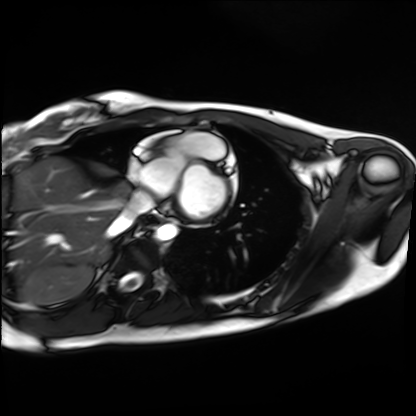
Cardiac MRI. Subject group: healthy volunteer.